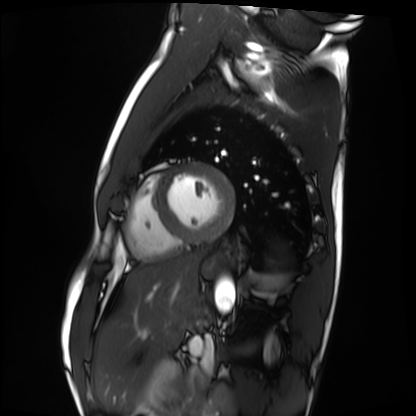
{"modality": "cardiac MRI", "cohort": "healthy volunteer"}